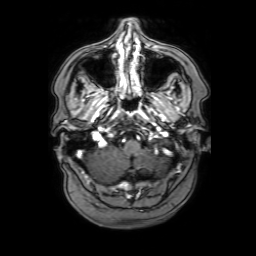
modality — 3 Tesla brain MRI | series — 3D T1-weighted with SENSE | study — ring-enhancing brain masses.